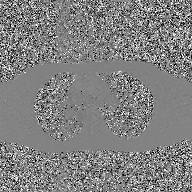
– modality: 2D phase-contrast cine MRI of the ascending aorta, GAN super-resolution reconstruction